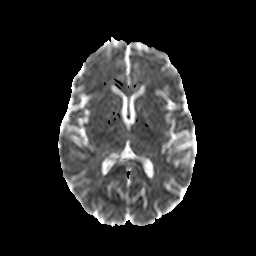
Clinical context:
3 Tesla brain MRI. Series: diffusion-weighted imaging with CLEAR. Study: ring-enhancing brain masses.